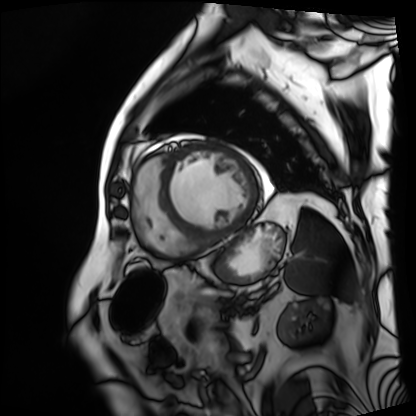
modality: cardiac MRI | subject group: patient.